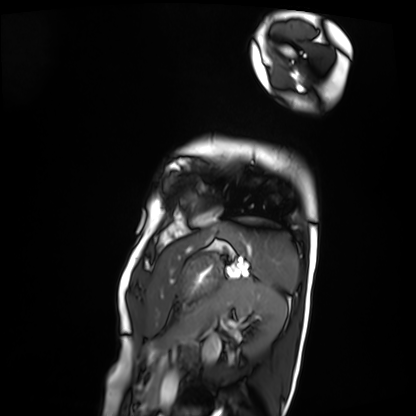
Cardiac MRI. Subject group: patient.